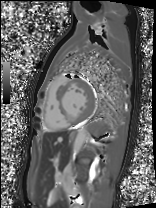
Cardiac MRI.
Subject group: patient.